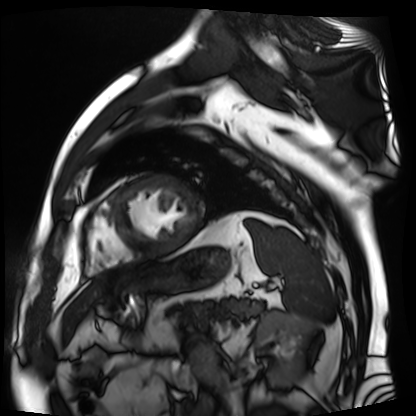
Cardiac MR image of the myocardium. Subject cohort: cardiac patient.